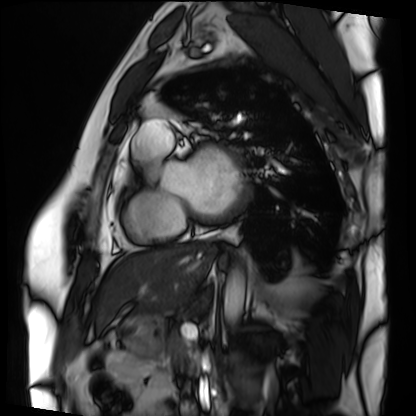
Case summary:
Cardiac MRI. Subject group: patient.